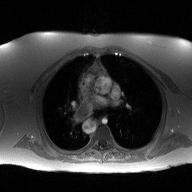
modality: 2D phase-contrast cine MRI of the ascending aorta.